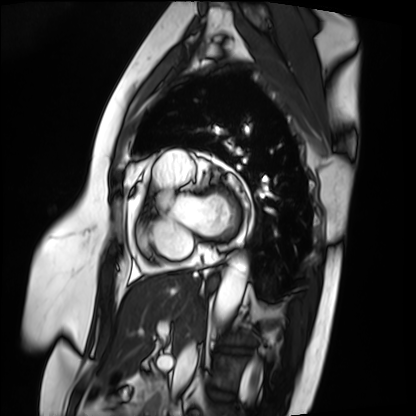
Cardiac MRI. Subject group: patient.